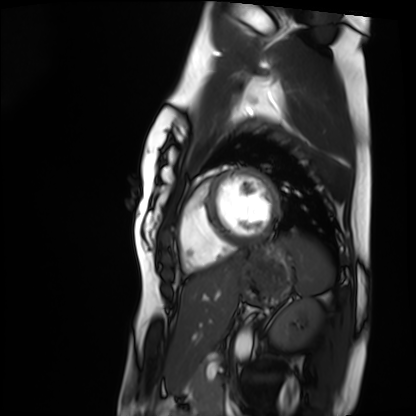
Q: What kind of scan is this?
A: Cardiac MRI.
Subject group: healthy volunteer.